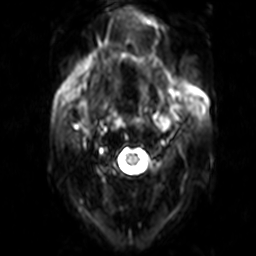
{
  "modality": {
    "type": "brain MRI",
    "field_strength": "3T"
  },
  "series": "diffusion-weighted imaging",
  "study_topic": "ring-enhancing brain masses"
}